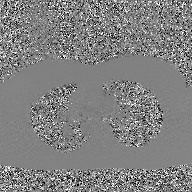
2D phase-contrast cine MRI of the ascending aorta, GAN super-resolution reconstruction.